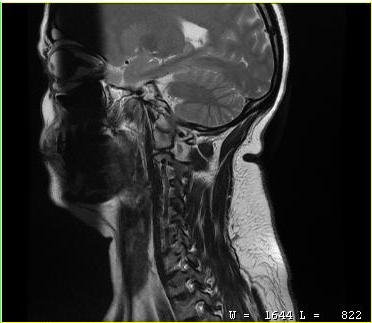
Summary:
MRI of the cervical spine. Study: cervical spondylosis.